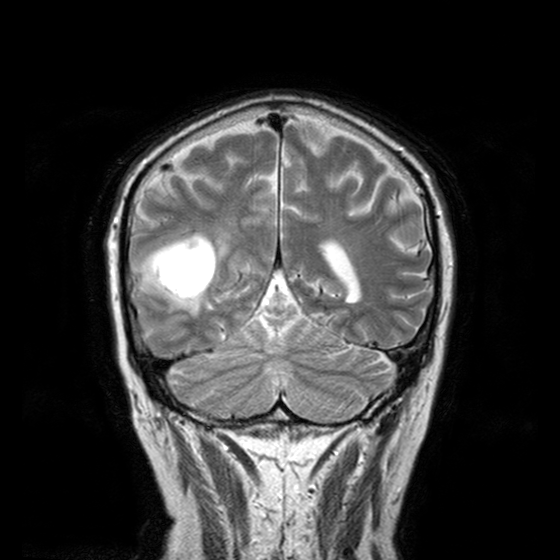
<record>
<modality>
  <type>brain MRI</type>
  <field_strength>3T</field_strength>
</modality>
<series>T2-weighted turbo spin echo with CLEAR</series>
<study_topic>ring-enhancing brain masses</study_topic>
</record>